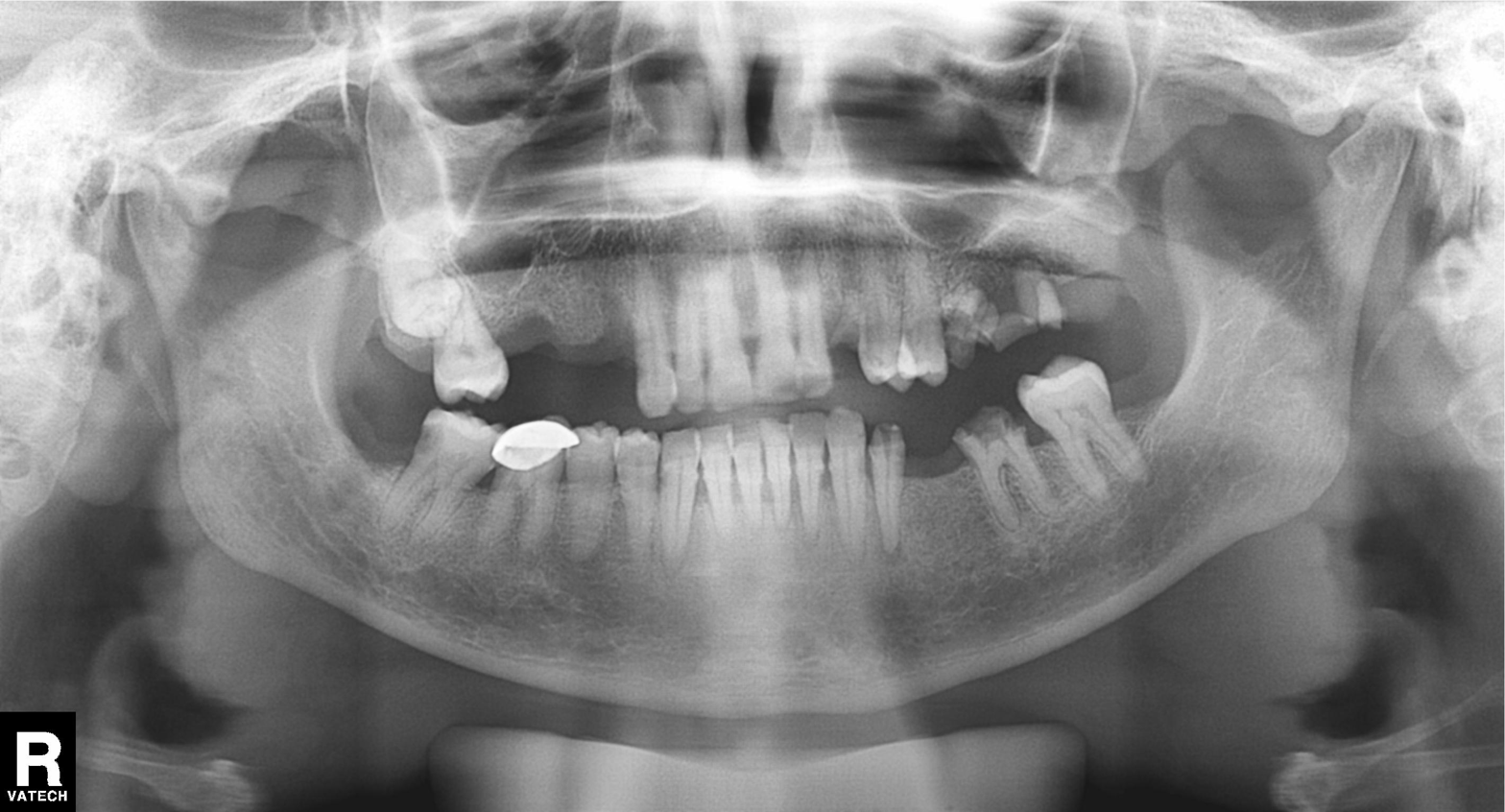
modality=panoramic dental radiograph (orthopantomogram)
finding=dental caries (cavities)